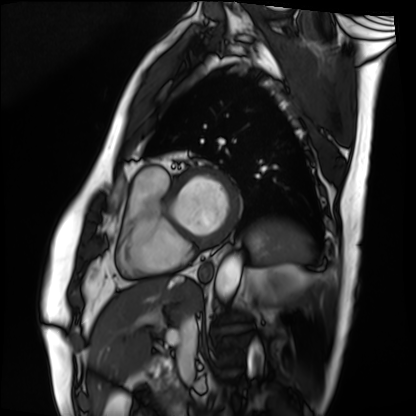
Summary:
Cardiac MRI. Subject group: patient.